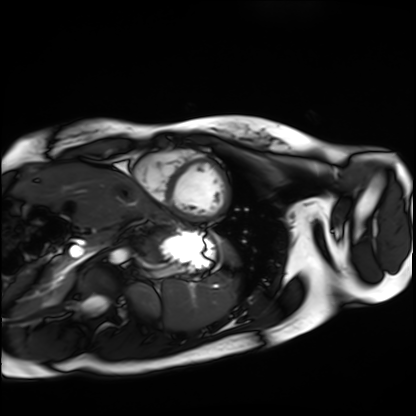
Cardiac MRI. Subject group: healthy volunteer.